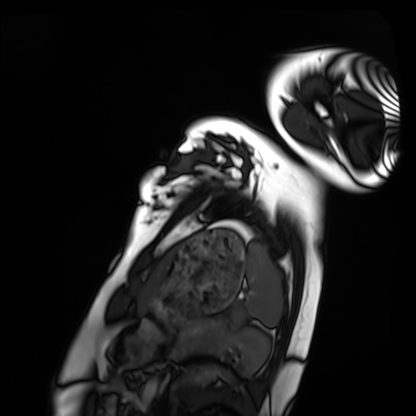
| field | value |
|---|---|
| modality | cardiac MRI |
| subject group | healthy volunteer |